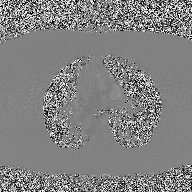
2D phase-contrast cine MRI of the ascending aorta, high-resolution GRAPPA acquisition.